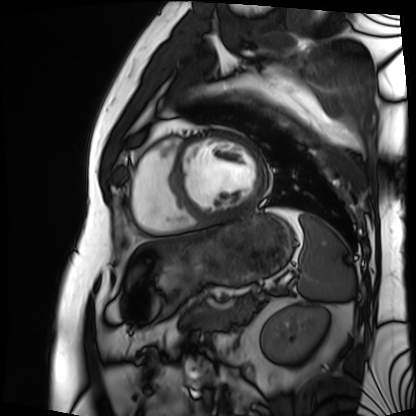
<study>
<modality>cardiac MRI</modality>
<cohort>patient</cohort>
</study>